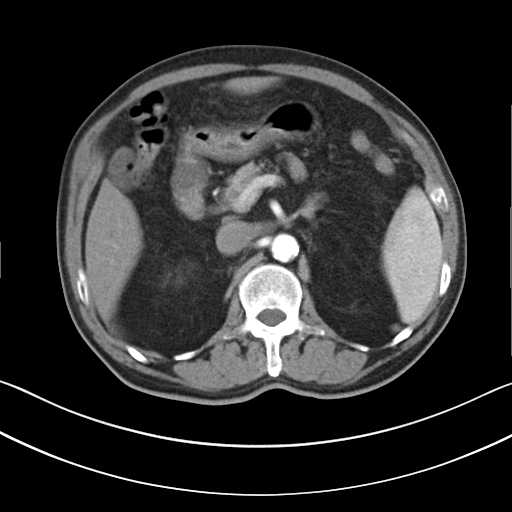
Case:
– modality — multiphase abdominal CT, liver, arterial phase
– patient — male, age 69
– history — cirrhosis, viral hepatitis